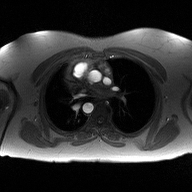
  modality:
    type: 2D phase-contrast cine MRI
    region: ascending aorta
    reconstruction: high-resolution GRAPPA acquisition